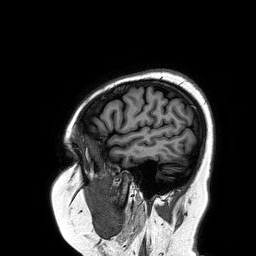
  modality:
    type: brain MRI
    field_strength: 3T
  series: 3D T1-weighted turbo field echo
  study_topic: ring-enhancing brain masses